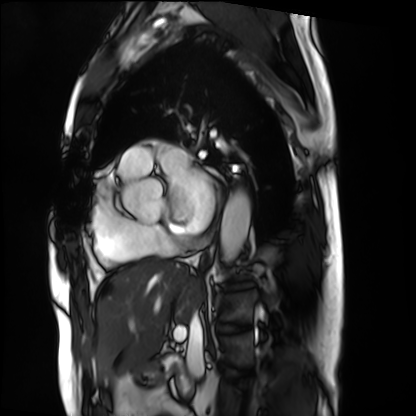
modality = cardiac MRI, subject group = patient.